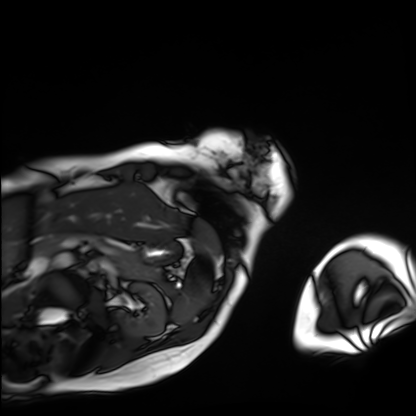
Q: What kind of scan is this?
A: Cardiac MRI.
Subject group: patient.